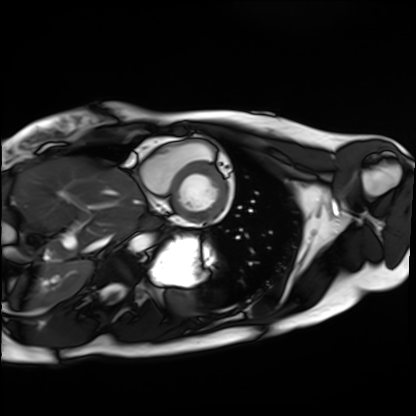
  modality: cardiac MRI
  cohort: healthy volunteer